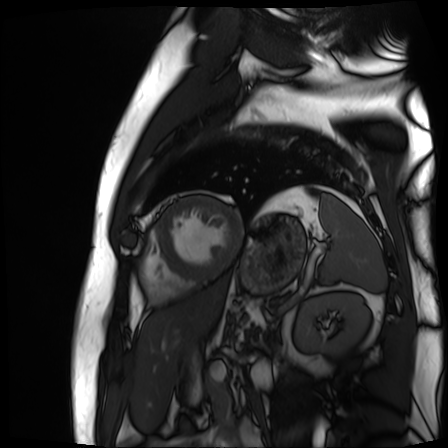
Q: What kind of scan is this?
A: Cardiac MR image of the myocardium.
Subject cohort: cardiac patient.